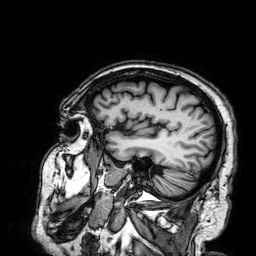
Summary: 3 Tesla brain MRI. Series: 3D T1-weighted. Study: ring-enhancing brain masses.